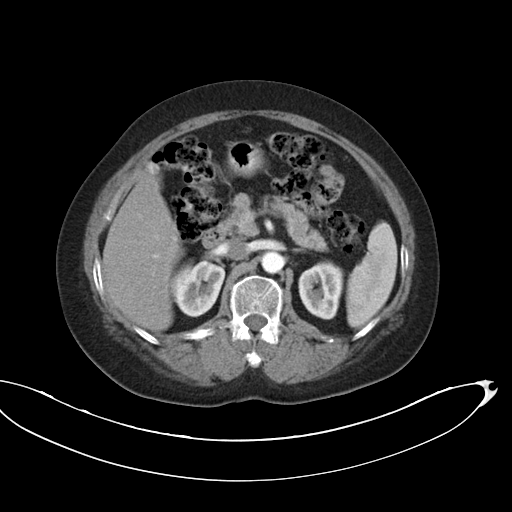
Clinical context: Multiphase abdominal CT, liver, arterial phase. Patient: female, age 63. History: viral hepatitis.